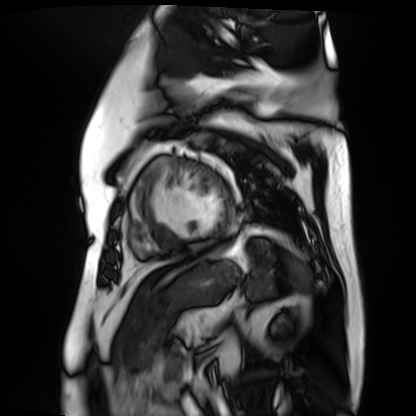
modality: cardiac MR image of the myocardium
cohort: cardiac patient